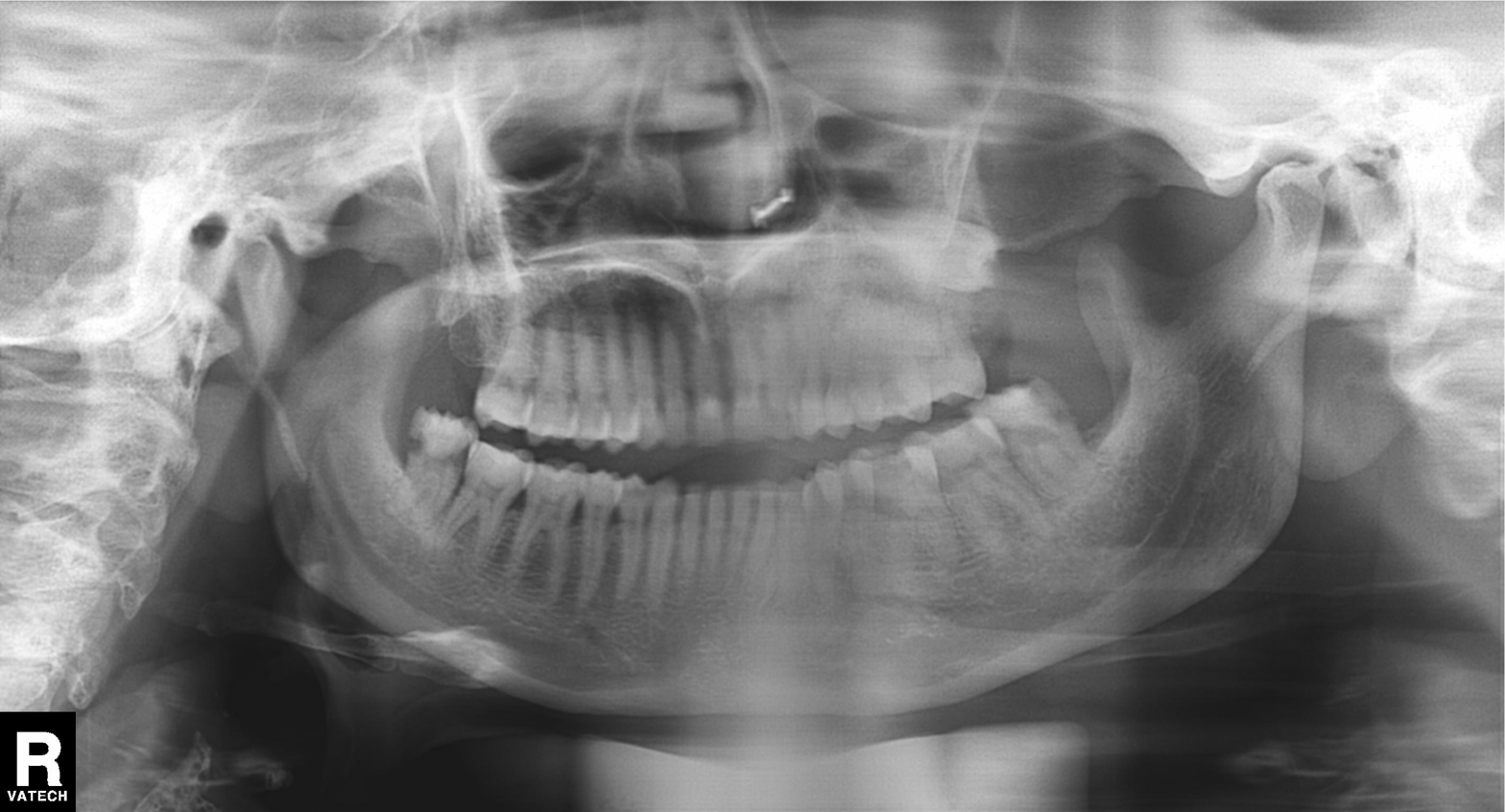
Findings:
• modality — panoramic dental radiograph (orthopantomogram)
• finding — dental caries (cavities)